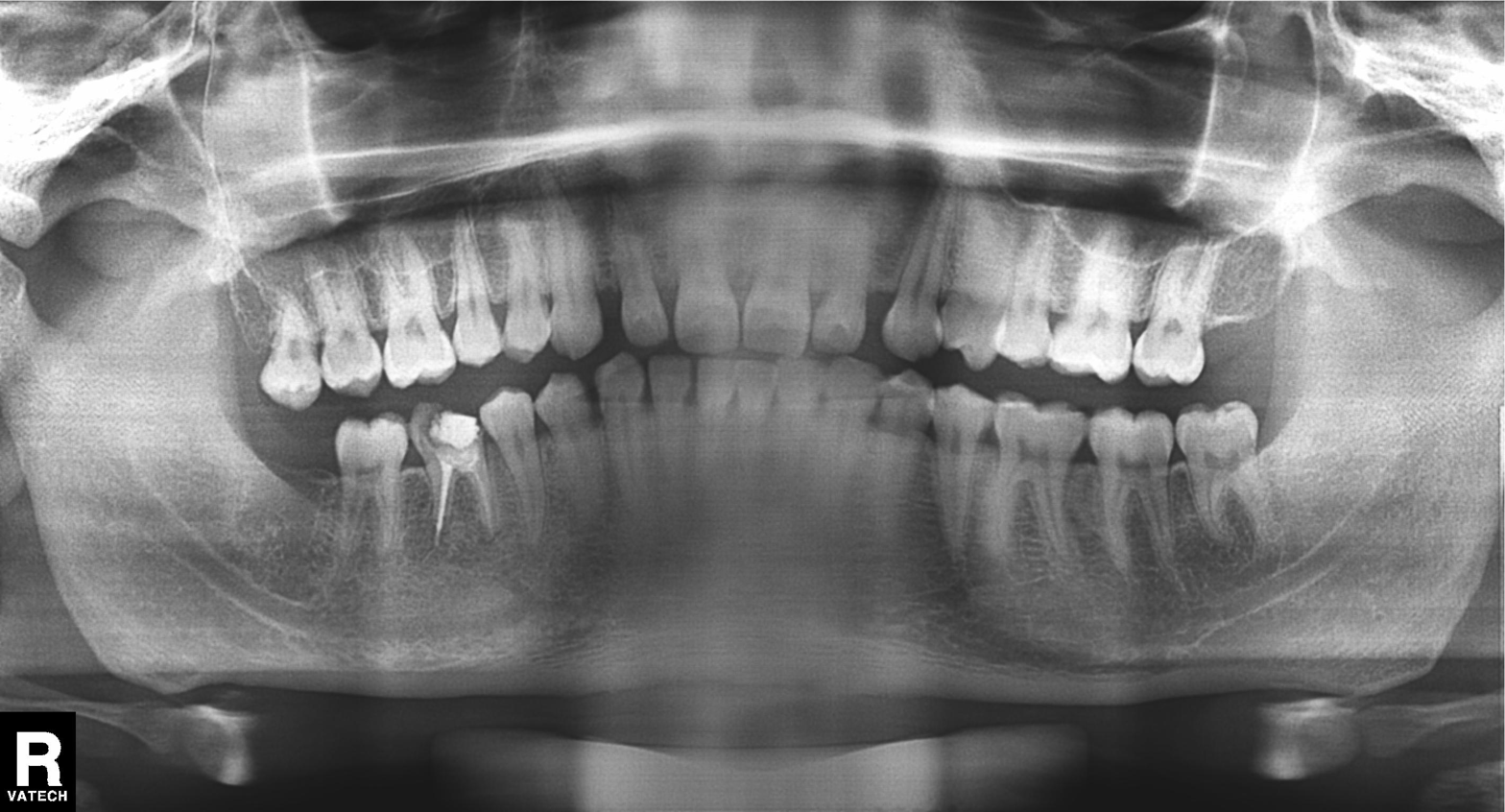
Case summary: Panoramic dental radiograph (orthopantomogram).
Diagnosis: Alveolar bone loss.